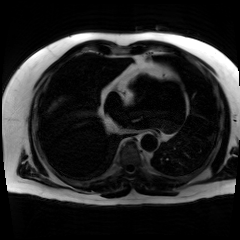
Chemical-shift-encoded cardiac MRI.